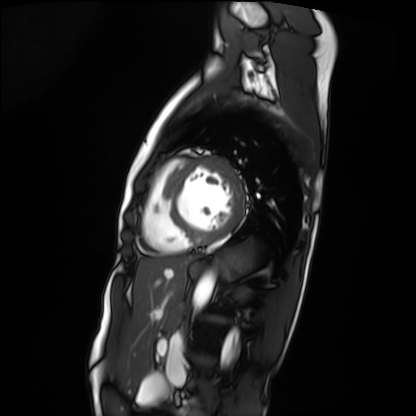
Case summary:
Cardiac MRI. Subject group: patient.